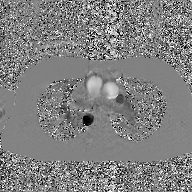
2D phase-contrast cine MRI of the ascending aorta, GAN super-resolution reconstruction.